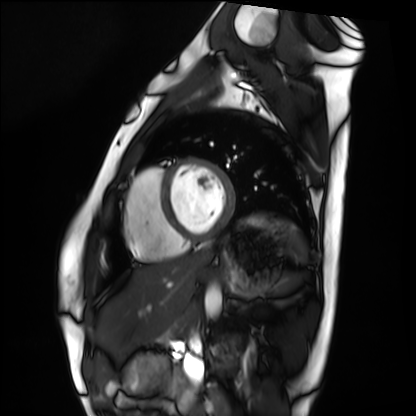
Case summary:
Cardiac MRI. Subject group: healthy volunteer.